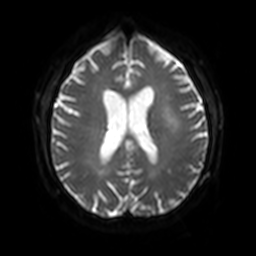
3 Tesla brain MRI. Series: diffusion-weighted imaging with SENSE (WIP). Study: ring-enhancing brain masses.